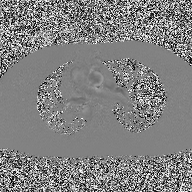
2D phase-contrast cine MRI of the ascending aorta, high-resolution GRAPPA acquisition.